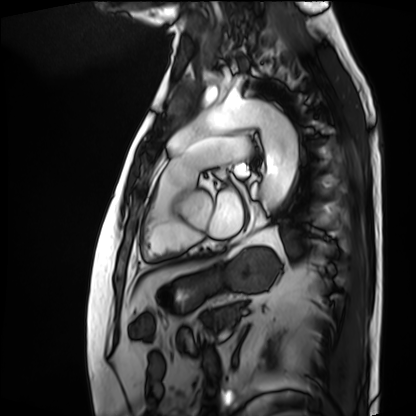
{"modality": "cardiac MRI", "cohort": "patient"}